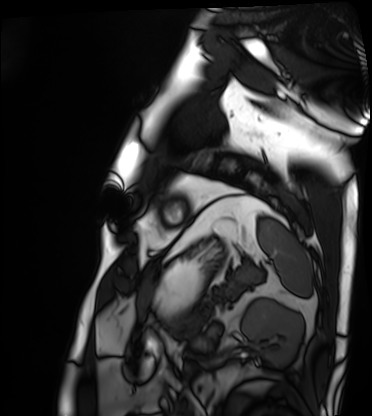
Cardiac MRI. Subject group: patient.